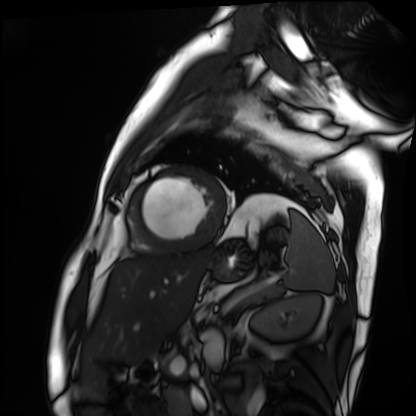
modality = cardiac MRI
subject group = patient